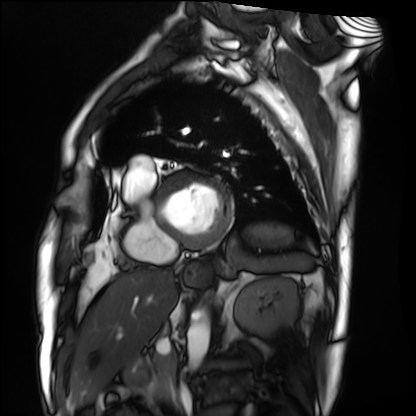
Cardiac MRI.
Subject group: patient.